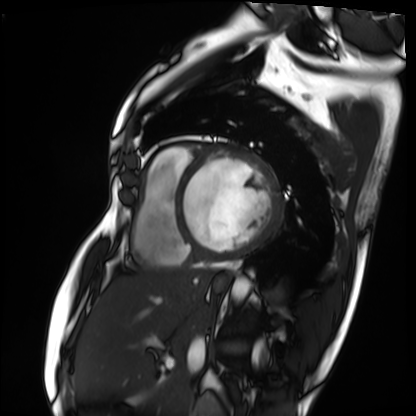
Cardiac MRI. Subject group: patient.